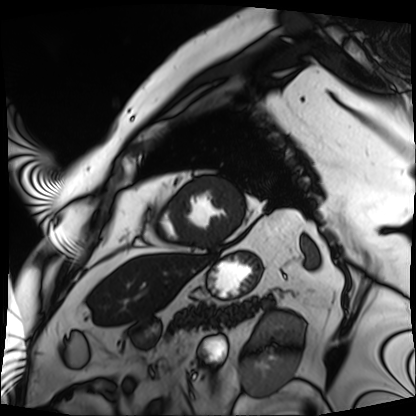
Cardiac MRI. Subject group: patient.